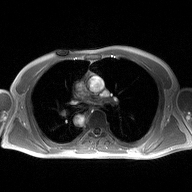
| field | value |
|---|---|
| modality | 2D phase-contrast cine MRI of the ascending aorta |